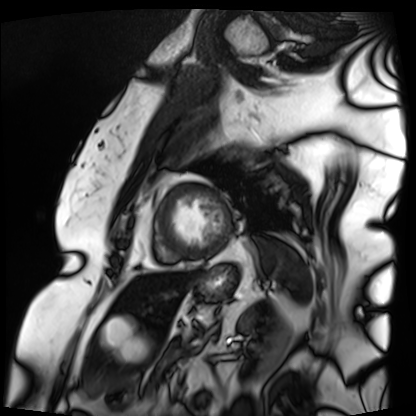
{"modality": "cardiac MRI", "cohort": "patient"}